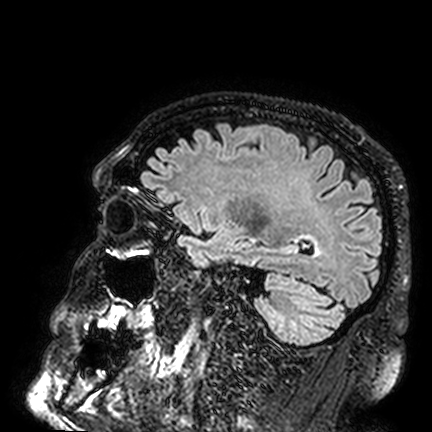
3 Tesla brain MRI.
Series: FLAIR VISTA.
Study: ring-enhancing brain masses.